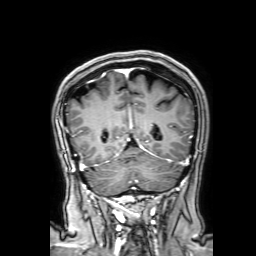
modality: 3 Tesla brain MRI | study: ring-enhancing brain masses.